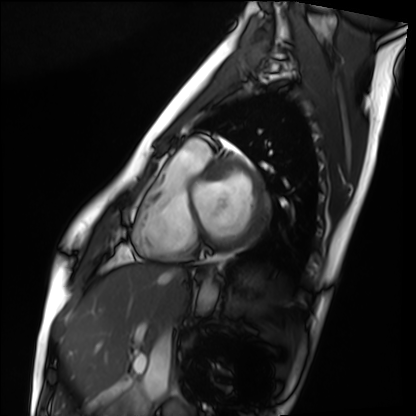
<case>
  <modality>cardiac MRI</modality>
  <cohort>healthy volunteer</cohort>
</case>